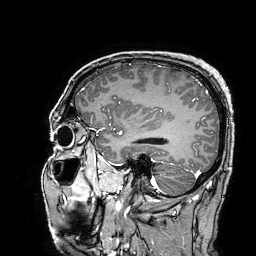
3 Tesla brain MRI. Series: 3D T1-weighted turbo field echo with SENSE. Study: ring-enhancing brain masses.